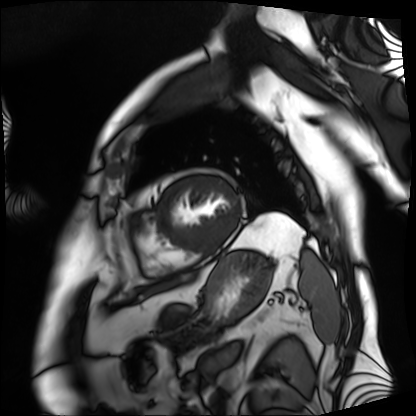
Clinical context: Cardiac MRI. Subject group: patient.